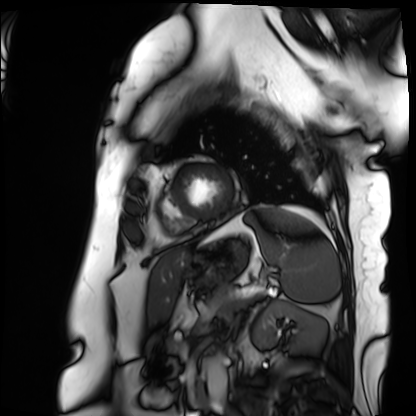
| field | value |
|---|---|
| modality | cardiac MRI |
| subject group | patient |